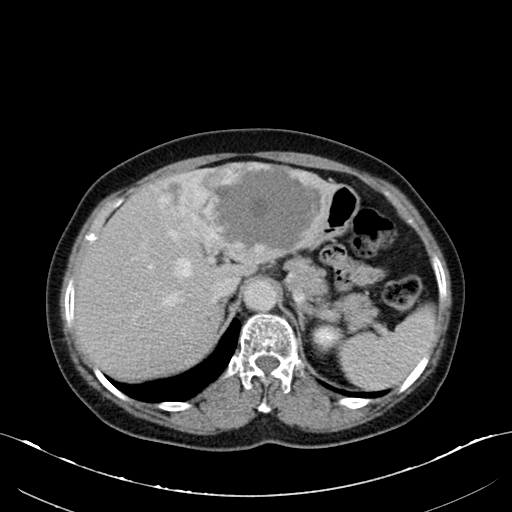
Q: What kind of scan is this?
A: Multiphase abdominal CT, liver, delayed phase.